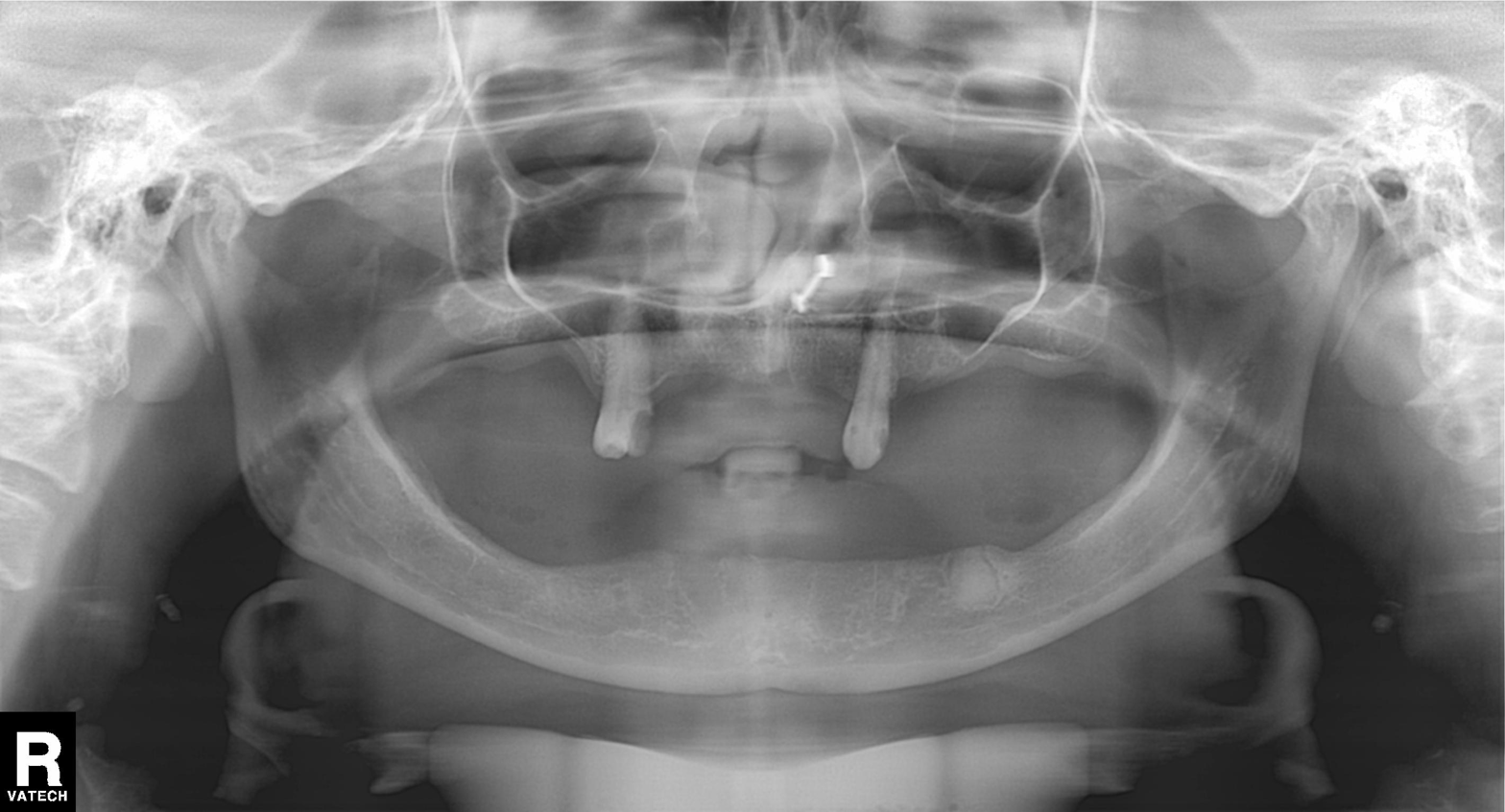
Clinical context:
Panoramic dental radiograph (orthopantomogram).
Diagnosis:
Alveolar bone loss.